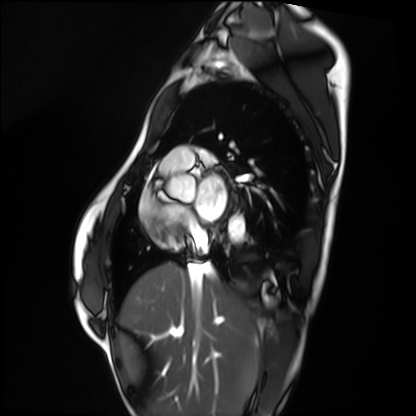
{"modality": "cardiac MRI", "cohort": "healthy volunteer"}